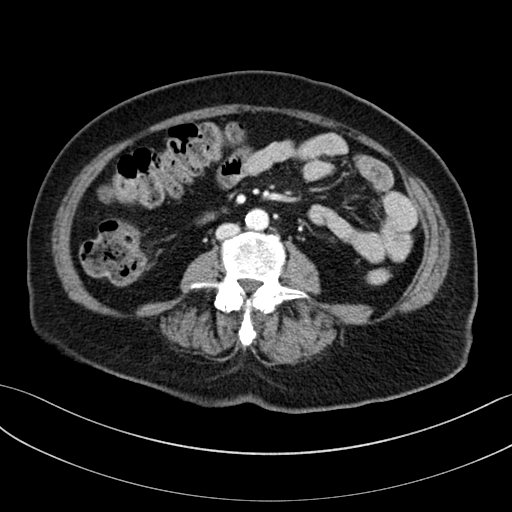
Summary:
Multiphase abdominal CT, liver, portal venous phase. Patient: female, age 66.